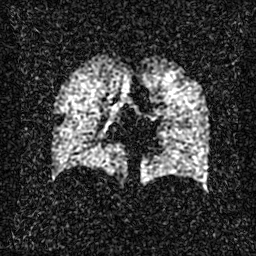
Case:
– modality: hyperpolarized 129Xe ventilation MRI of the lungs
– SNR level: 2 of 8 (the deposit holds this scan as its native image and as seven SNR-degraded versions)